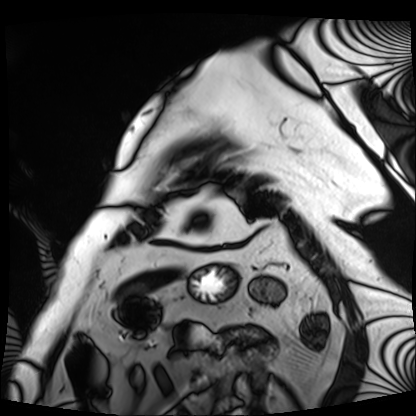
Q: What kind of scan is this?
A: Cardiac MRI.
Subject group: patient.